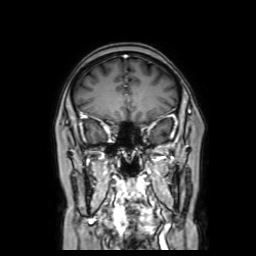
modality: 3 Tesla brain MRI | series: coronal with contrast | study: ring-enhancing brain masses.